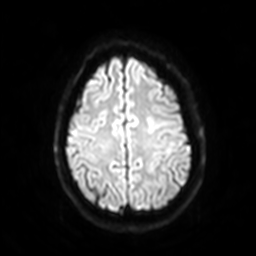
Summary: 3 Tesla brain MRI. Series: diffusion-weighted imaging with SENSE (WIP). Study: ring-enhancing brain masses.